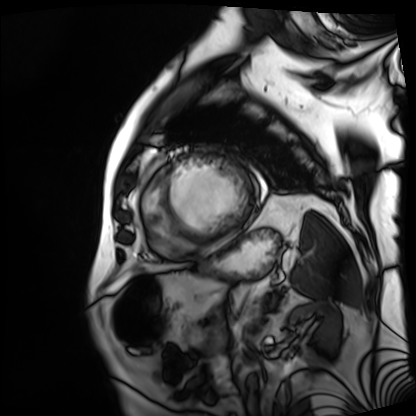
Cardiac MRI. Subject group: patient.